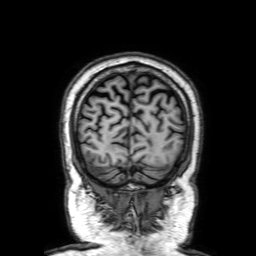
- modality — 3 Tesla brain MRI
- series — 3D T1-weighted with SENSE
- study — ring-enhancing brain masses